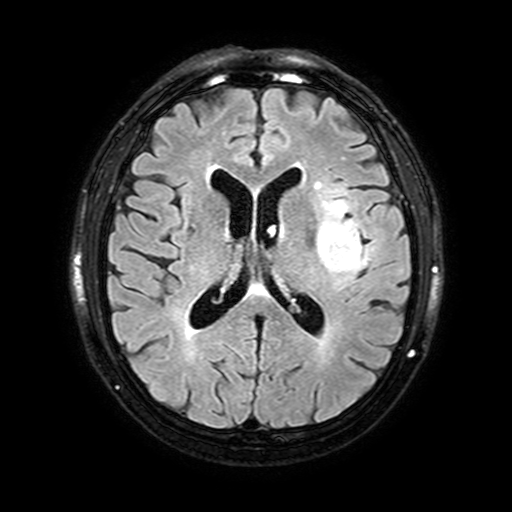
| field | value |
|---|---|
| modality | 3 Tesla brain MRI |
| series | FLAIR with SPAIR, 3 mm |
| study | ring-enhancing brain masses |